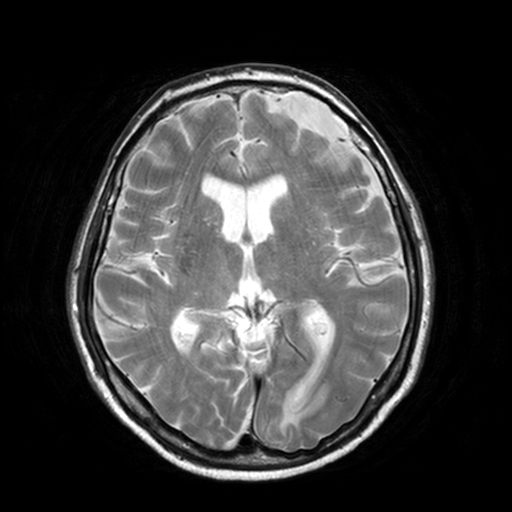
{"modality": {"type": "brain MRI", "field_strength": "3T"}, "series": "T2-weighted turbo spin echo, 3 mm", "study_topic": "ring-enhancing brain masses"}